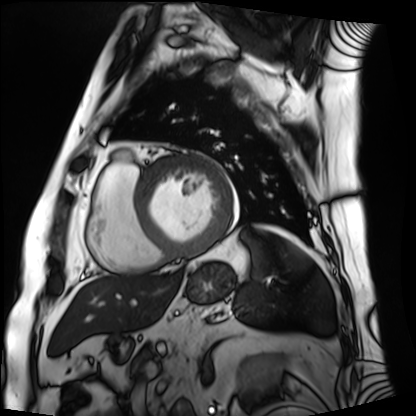
Cardiac MRI.
Subject group: patient.